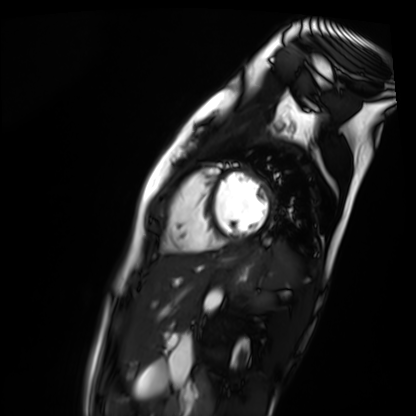
{
  "modality": "cardiac MR image of the myocardium",
  "cohort": "healthy volunteer"
}